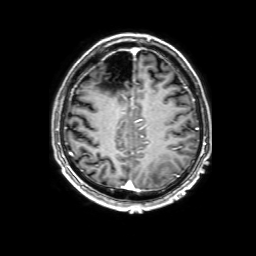
Case summary:
3 Tesla brain MRI. Series: 3D T1-weighted with SENSE. Study: ring-enhancing brain masses.